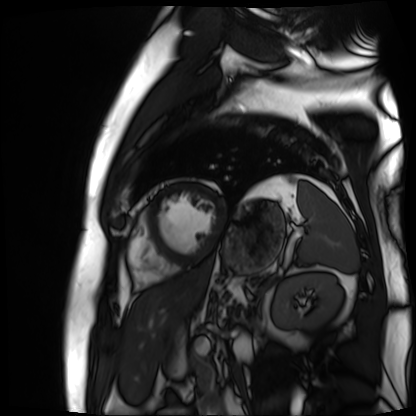
{
  "modality": "cardiac MR image of the myocardium",
  "cohort": "cardiac patient"
}